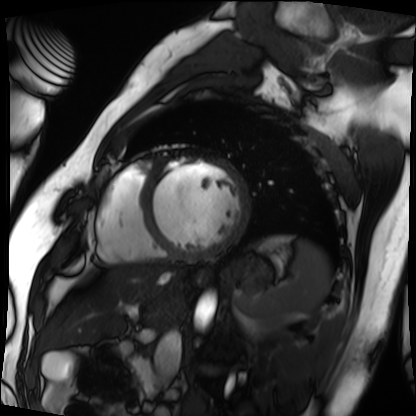
modality = cardiac MRI; subject group = patient.